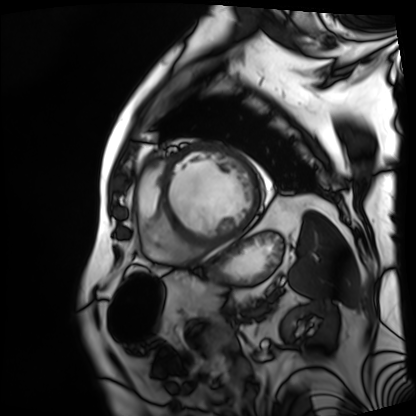
Cardiac MRI. Subject group: patient.